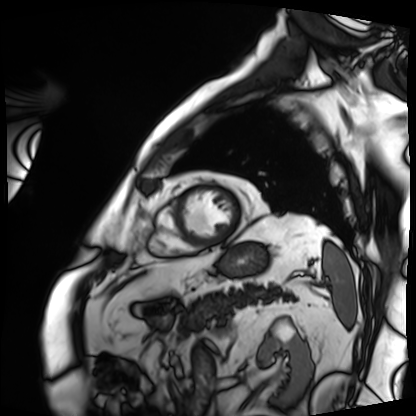
Case:
* modality: cardiac MRI
* subject group: patient